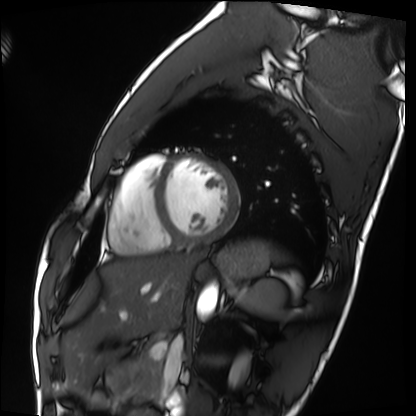
Cardiac MRI. Subject group: healthy volunteer.